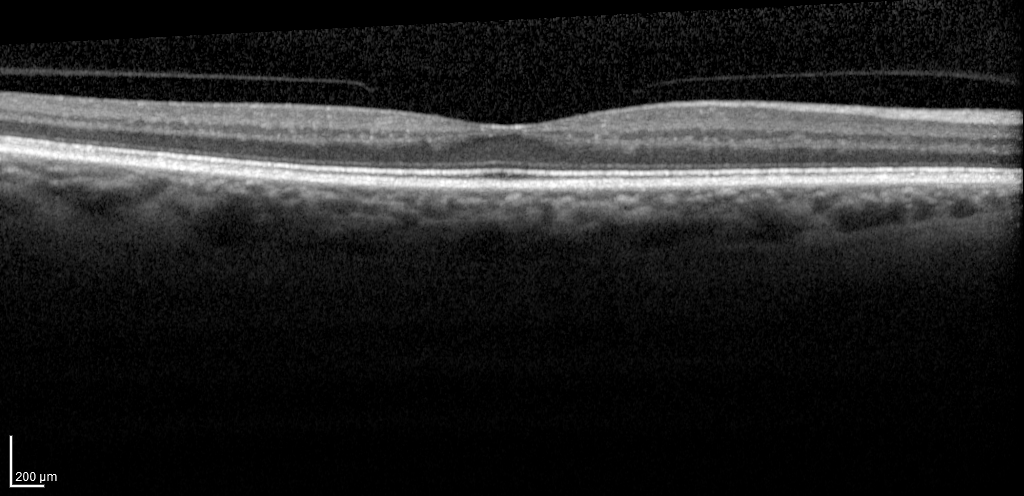
{"modality": "spectral-domain optical coherence tomography (SD-OCT) of the macula", "subject": {"sex": "female", "age": 68, "eye": "right eye"}, "cohort": "non-diabetic control", "etdrs_thickness_um": {"central": 272, "inner_temporal": 297, "inner_nasal": 317, "inner_superior": 316, "inner_inferior": 312, "outer_temporal": 256, "outer_nasal": 288, "outer_superior": 279, "outer_inferior": 274}}